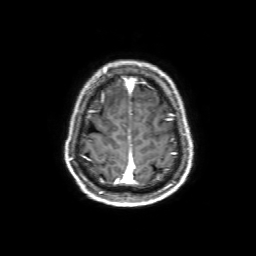
Q: What kind of scan is this?
A: 3 Tesla brain MRI.
Q: Series?
A: 3D T1-weighted with SENSE.
Study: ring-enhancing brain masses.